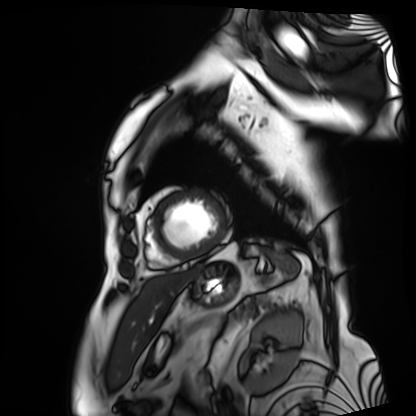
{"modality": "cardiac MRI", "cohort": "patient"}